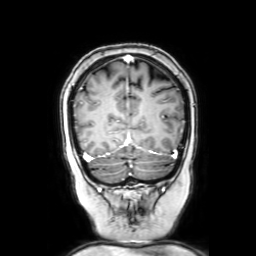
| field | value |
|---|---|
| modality | 3 Tesla brain MRI |
| series | coronal with contrast |
| study | ring-enhancing brain masses |